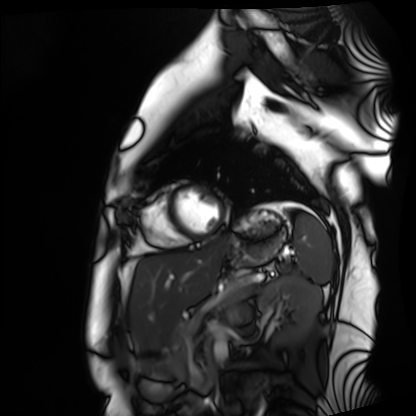
Case summary:
Cardiac MRI. Subject group: healthy volunteer.